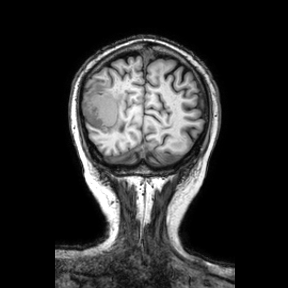
Summary: 3 Tesla brain MRI. Series: coronal. Study: ring-enhancing brain masses.